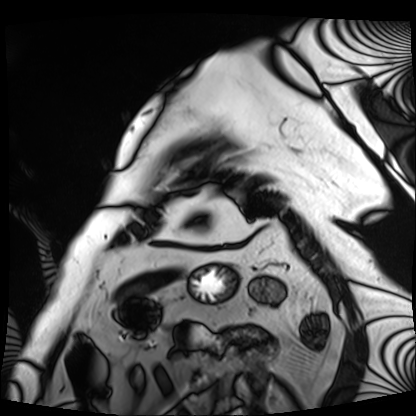
modality: cardiac MRI | subject group: patient.